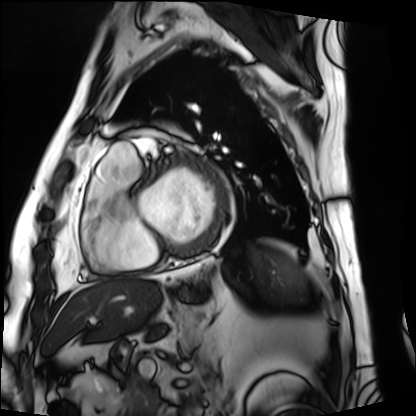
modality: cardiac MRI
cohort: patient